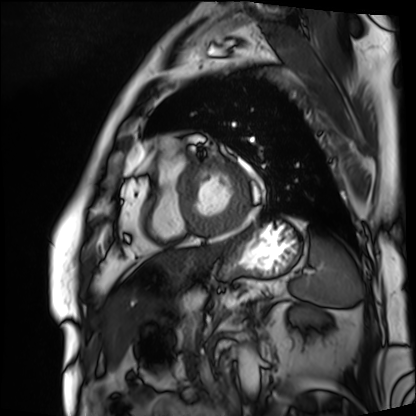
Cardiac MRI. Subject group: patient.